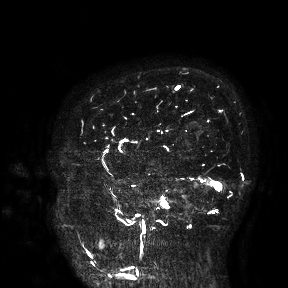
3 Tesla brain MRI. Study: ring-enhancing brain masses.